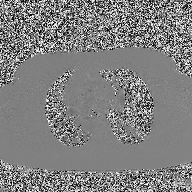
Summary: 2D phase-contrast cine MRI of the ascending aorta, high-resolution GRAPPA acquisition.